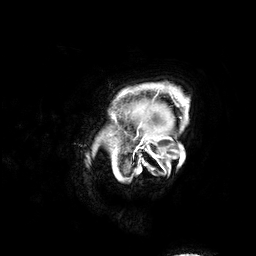
Case:
– modality · 3 Tesla brain MRI
– series · 3D T1-weighted
– study · ring-enhancing brain masses